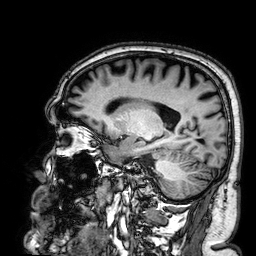
3 Tesla brain MRI.
Series: 3D T1-weighted.
Study: ring-enhancing brain masses.